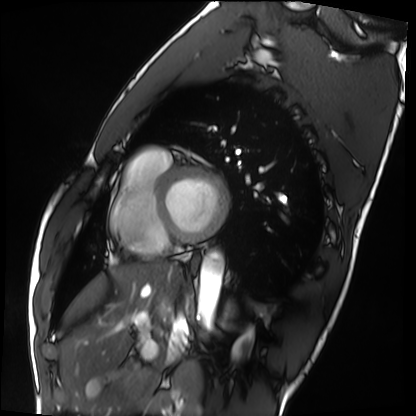
modality=cardiac MRI
subject group=healthy volunteer